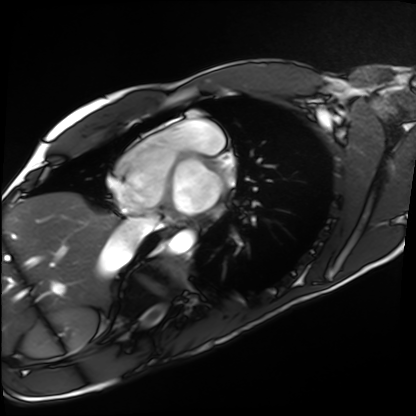
Cardiac MRI. Subject group: healthy volunteer.